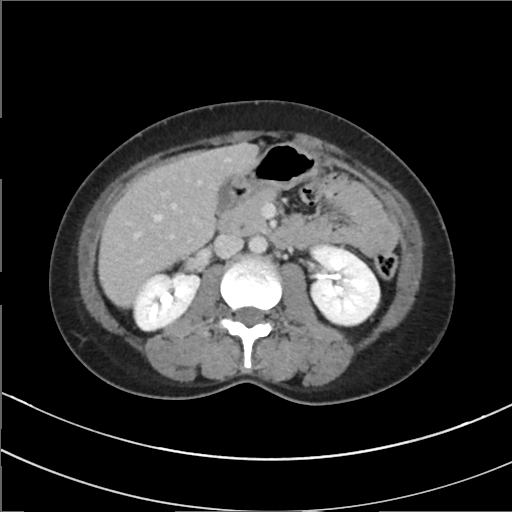
Case:
• modality: multiphase abdominal CT, liver, delayed phase
• patient: female, age 41